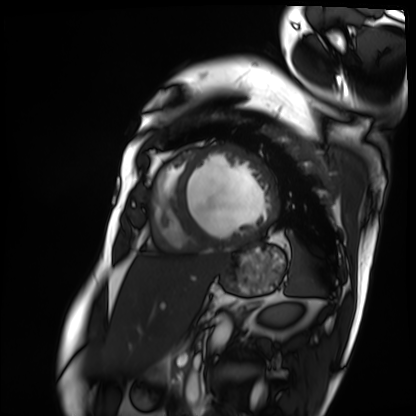
Cardiac MRI. Subject group: patient.